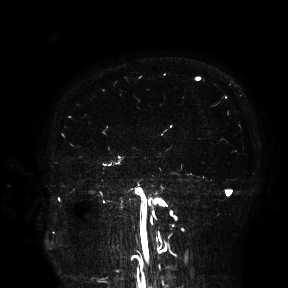
3 Tesla brain MRI. Study: ring-enhancing brain masses.